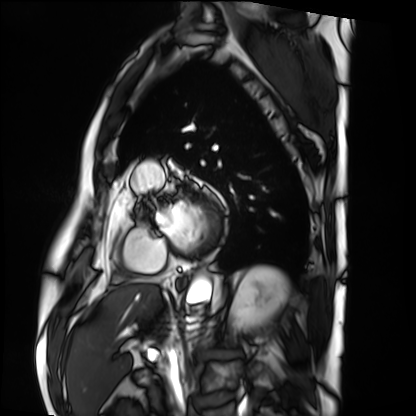
Summary:
Cardiac MRI. Subject group: patient.